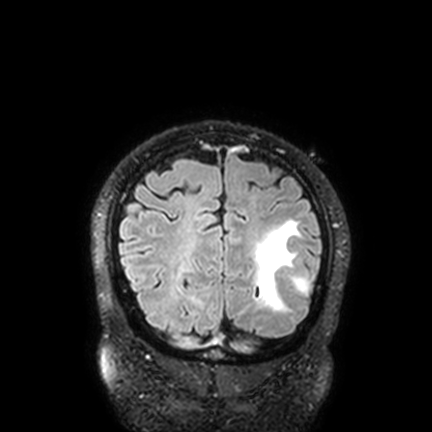
3 Tesla brain MRI.
Series: FLAIR VISTA with SENSE.
Study: ring-enhancing brain masses.